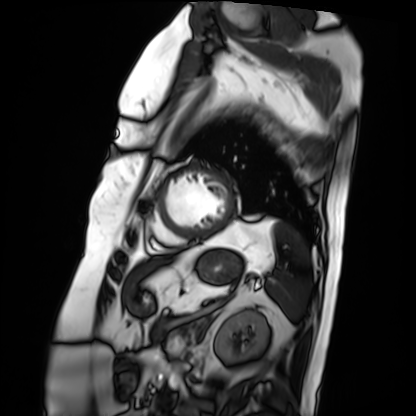
Cardiac MRI. Subject group: patient.